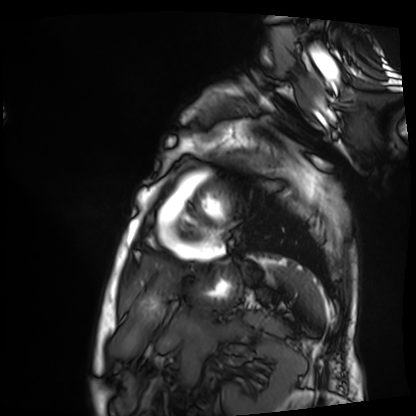
{"modality": "cardiac MRI", "cohort": "patient"}